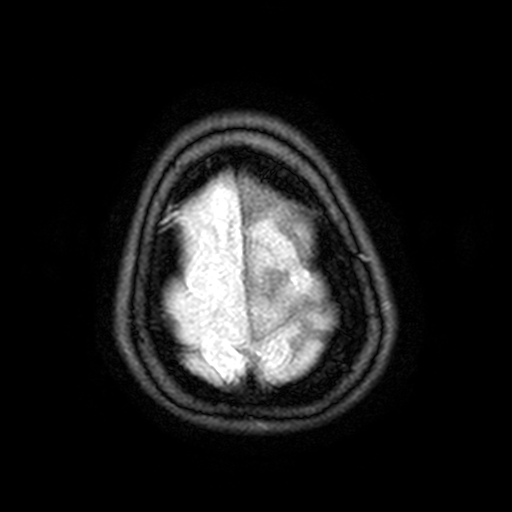
Case:
- modality · 3 Tesla brain MRI
- series · FLAIR with SPAIR, 3 mm
- study · ring-enhancing brain masses